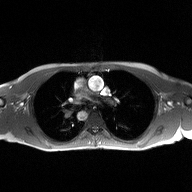
modality: 2D phase-contrast cine MRI of the ascending aorta.